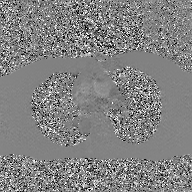
Clinical context:
2D phase-contrast cine MRI of the ascending aorta, GAN super-resolution reconstruction.